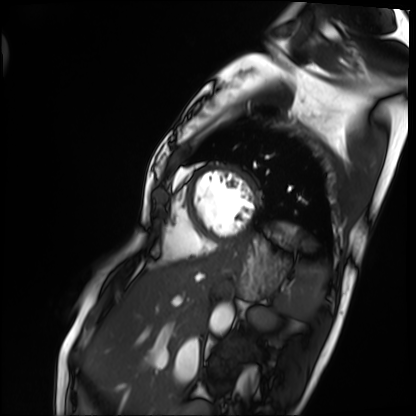
Cardiac MRI. Subject group: patient.